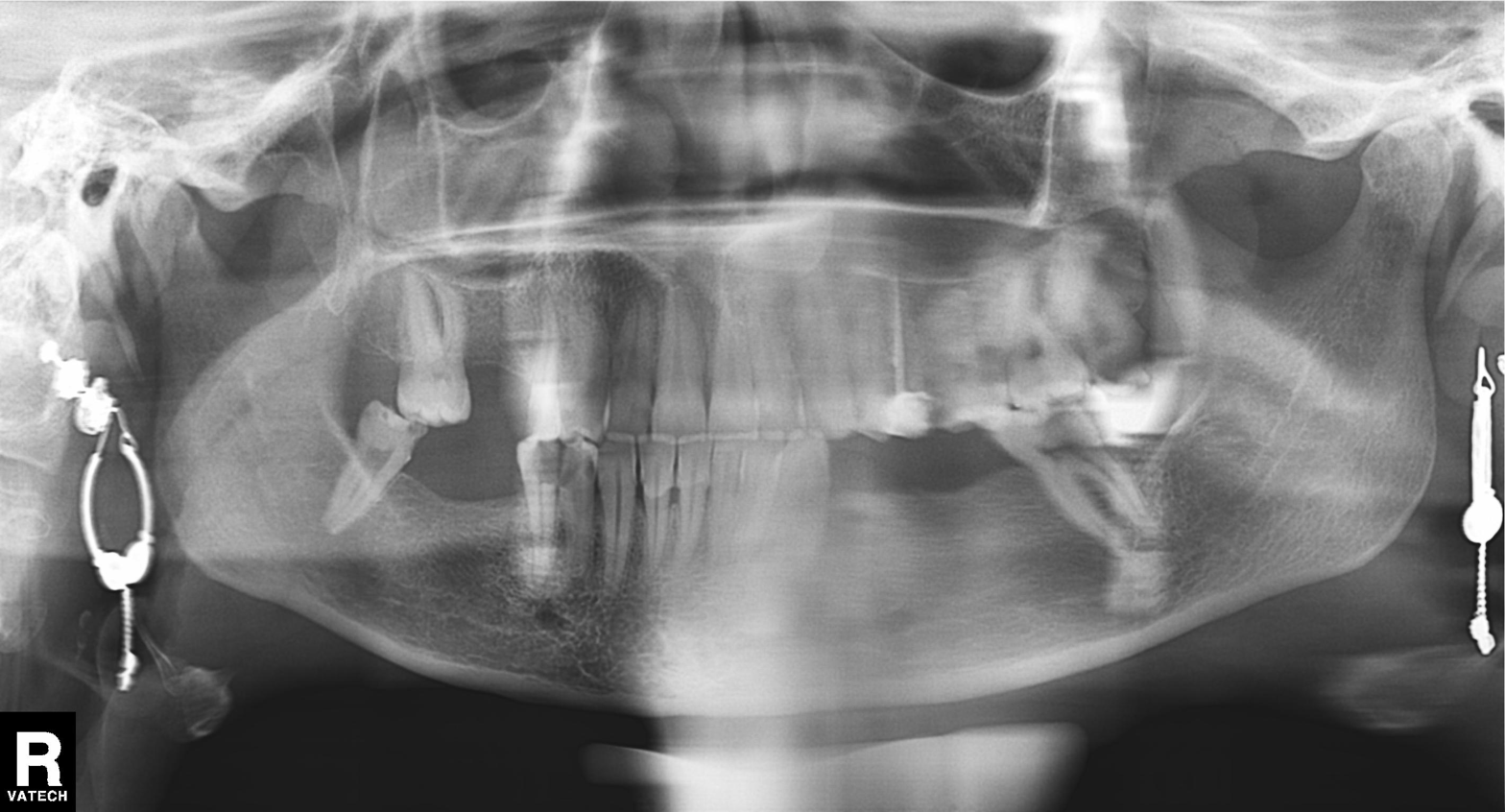
Panoramic dental radiograph (orthopantomogram).
Finding: alveolar bone loss.